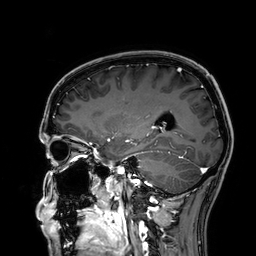
3 Tesla brain MRI. Series: 3D T1-weighted. Study: ring-enhancing brain masses.